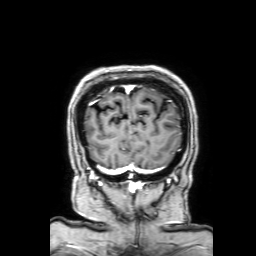
<scan>
  <modality>
    <type>brain MRI</type>
    <field_strength>3T</field_strength>
  </modality>
  <series>3D T1-weighted with SENSE</series>
  <study_topic>ring-enhancing brain masses</study_topic>
</scan>